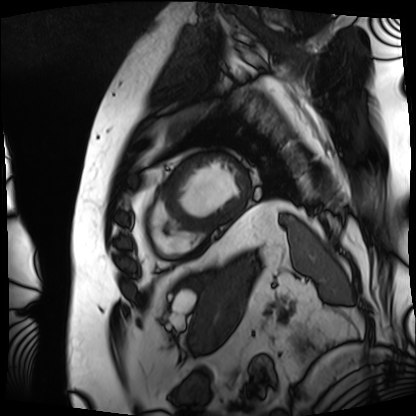
modality = cardiac MRI
subject group = patient